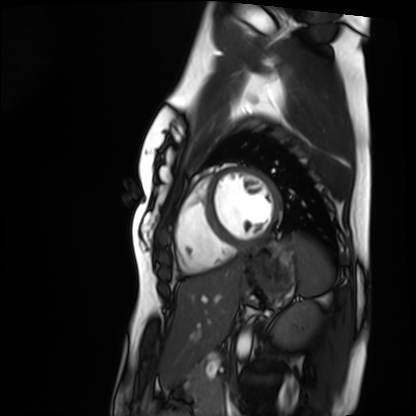
modality — cardiac MRI | subject group — healthy volunteer.